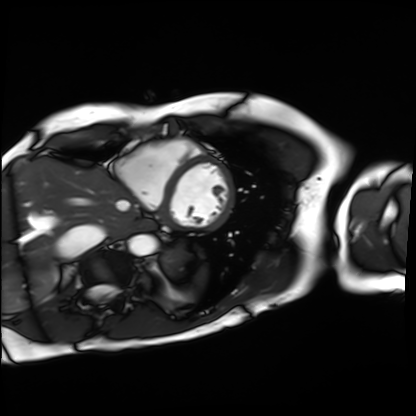
<case>
  <modality>cardiac MRI</modality>
  <cohort>patient</cohort>
</case>